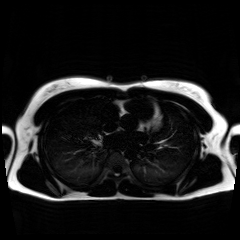
Summary: Chemical-shift-encoded cardiac MRI.